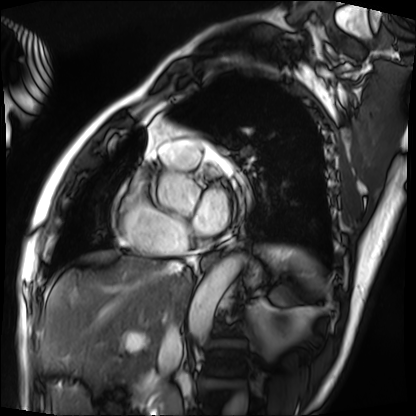
modality = cardiac MRI, subject group = patient.